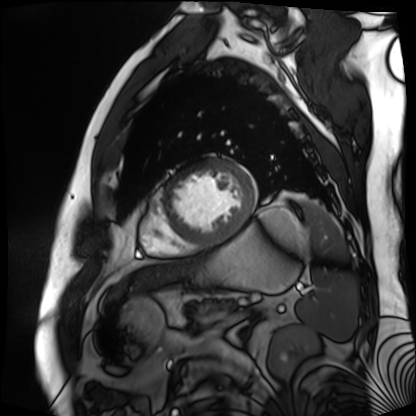
– modality · cardiac MR image of the myocardium
– subject cohort · cardiac patient